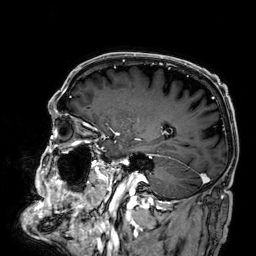
Case summary:
3 Tesla brain MRI. Series: 3D T1-weighted. Study: ring-enhancing brain masses.